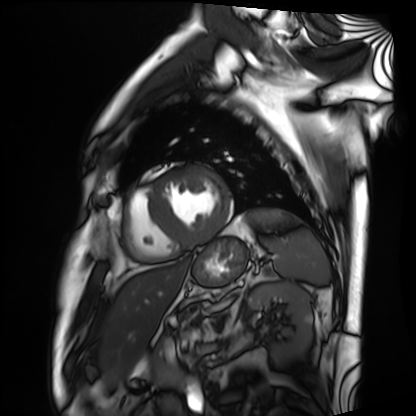
{"modality": "cardiac MRI", "cohort": "patient"}